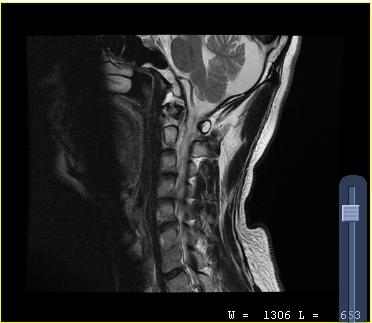
Summary:
MRI of the cervical spine. Study: cervical spondylosis.